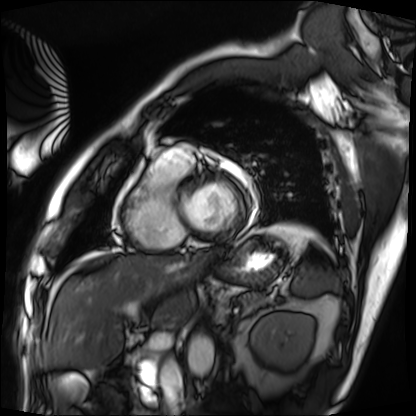
Cardiac MRI. Subject group: patient.